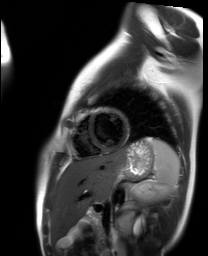
Cardiac MR image of the myocardium. Subject cohort: healthy volunteer.